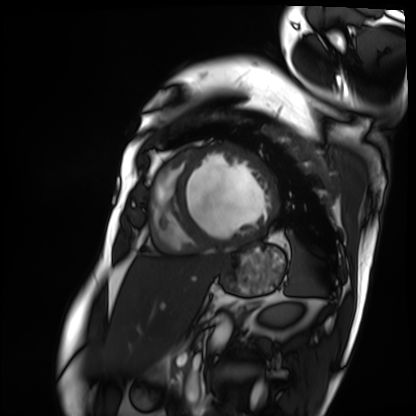
modality: cardiac MRI
subject group: patient